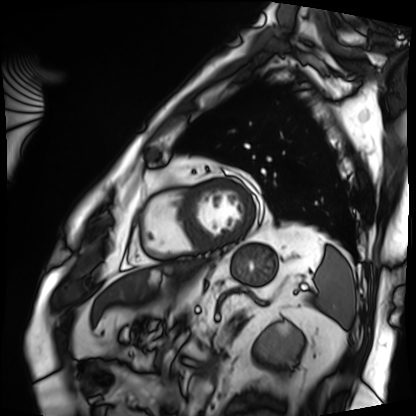
Case:
– modality: cardiac MRI
– subject group: patient